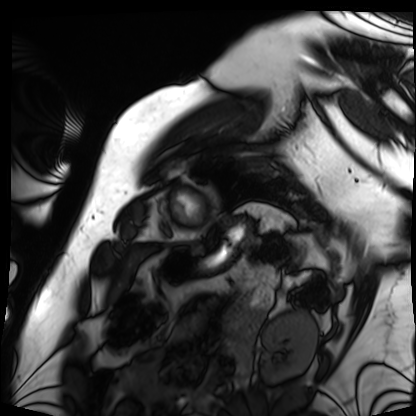
Cardiac MRI. Subject group: patient.